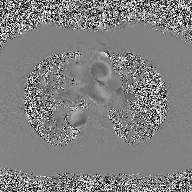
| field | value |
|---|---|
| modality | 2D phase-contrast cine MRI of the ascending aorta |